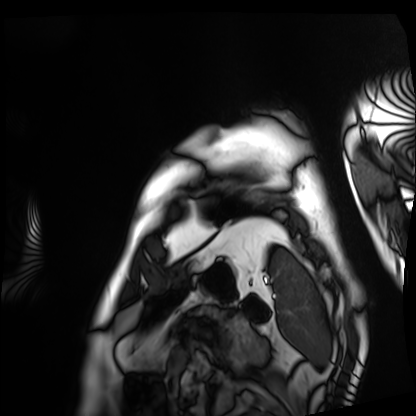
modality = cardiac MRI, subject group = patient.